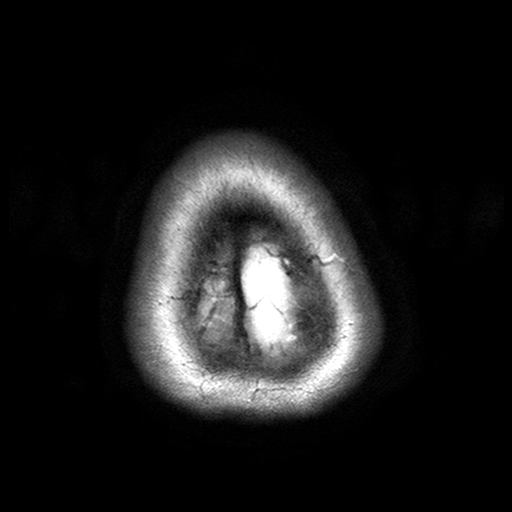
Case summary: 3 Tesla brain MRI. Series: T2-weighted turbo spin echo with SENSE. Study: ring-enhancing brain masses.